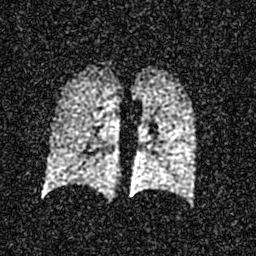
Q: What kind of scan is this?
A: Hyperpolarized 129Xe ventilation MRI of the lungs.
Q: SNR level?
A: 4 of 8 (the deposit holds this scan as its native image and as seven SNR-degraded versions).